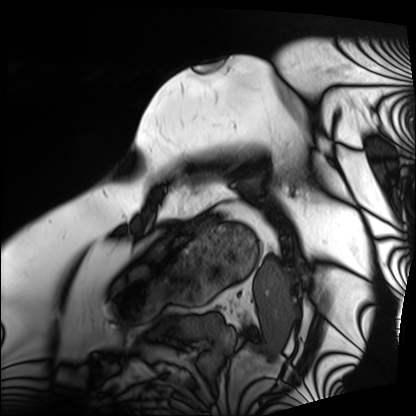
Case summary:
Cardiac MRI. Subject group: patient.